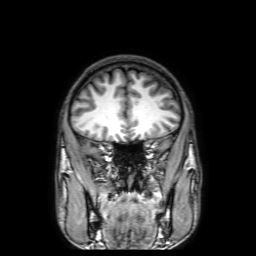
3 Tesla brain MRI. Series: 3D T1-weighted with SENSE. Study: ring-enhancing brain masses.